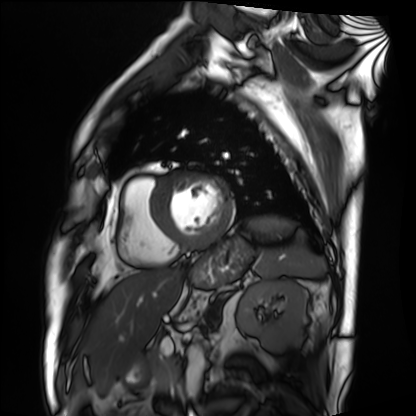
modality: cardiac MRI
subject group: patient